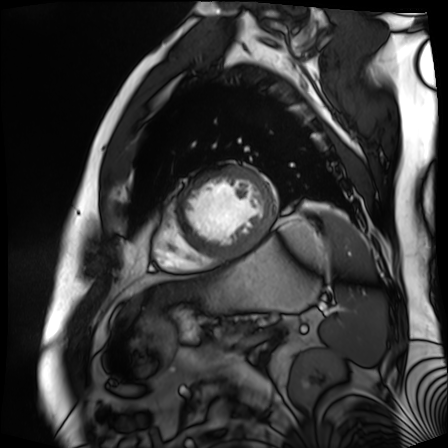
| field | value |
|---|---|
| modality | cardiac MR image of the myocardium |
| subject cohort | cardiac patient |